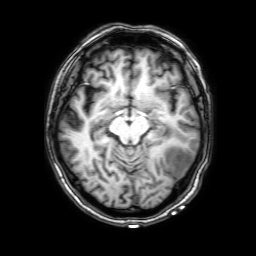
Clinical context:
3 Tesla brain MRI. Series: 3D T1-weighted with SENSE. Study: ring-enhancing brain masses.